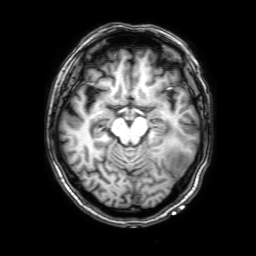
3 Tesla brain MRI. Series: 3D T1-weighted with SENSE. Study: ring-enhancing brain masses.